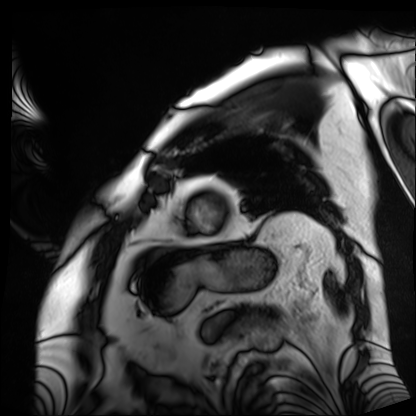
Case summary:
Cardiac MRI. Subject group: patient.